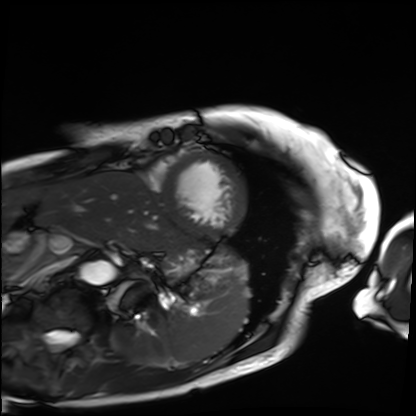
Cardiac MRI. Subject group: patient.